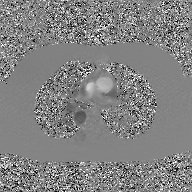
* modality: 2D phase-contrast cine MRI of the ascending aorta, GAN super-resolution reconstruction